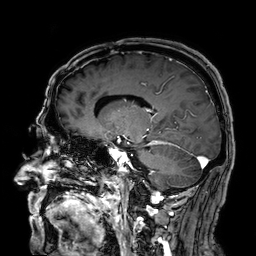
3 Tesla brain MRI. Series: 3D T1-weighted. Study: ring-enhancing brain masses.